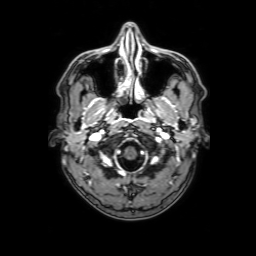
Q: What kind of scan is this?
A: 3 Tesla brain MRI.
Q: Series?
A: 3D T1-weighted with SENSE.
Study: ring-enhancing brain masses.